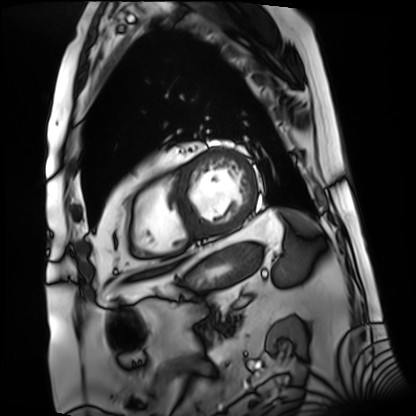
modality: cardiac MRI
subject group: patient